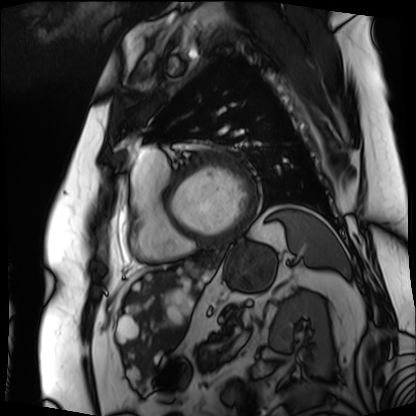
Cardiac MRI. Subject group: patient.